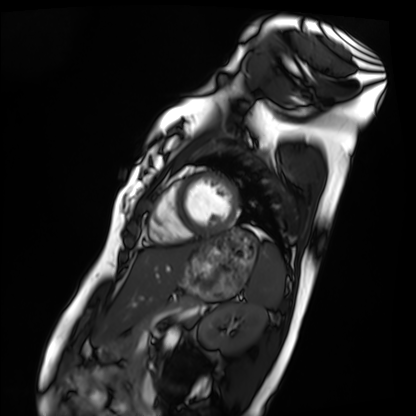
| field | value |
|---|---|
| modality | cardiac MRI |
| subject group | healthy volunteer |